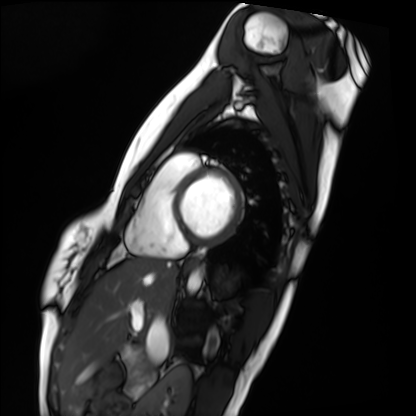
Cardiac MRI.
Subject group: healthy volunteer.